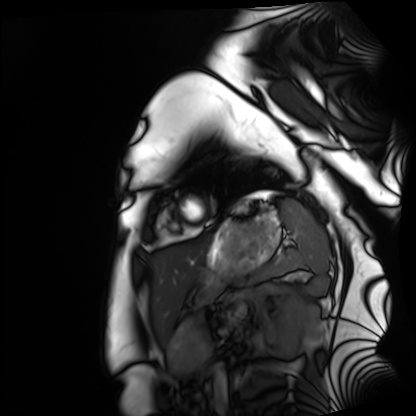
Cardiac MRI. Subject group: healthy volunteer.